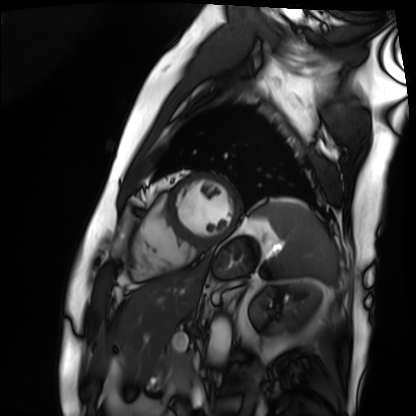
Cardiac MRI. Subject group: patient.